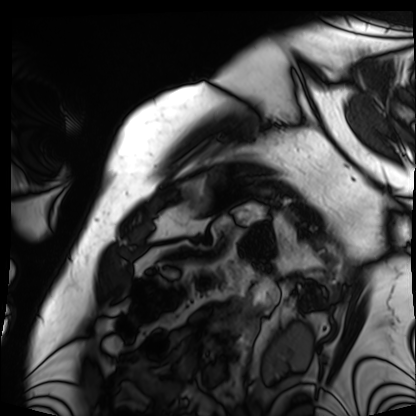
modality=cardiac MRI
subject group=patient